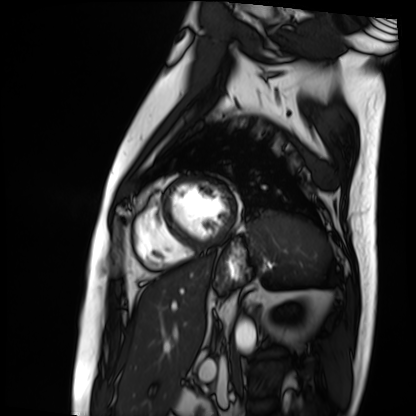
Cardiac MRI.
Subject group: patient.